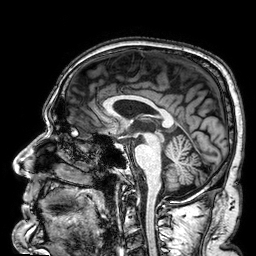
Case:
- modality — 3 Tesla brain MRI
- series — 3D T1-weighted
- study — ring-enhancing brain masses